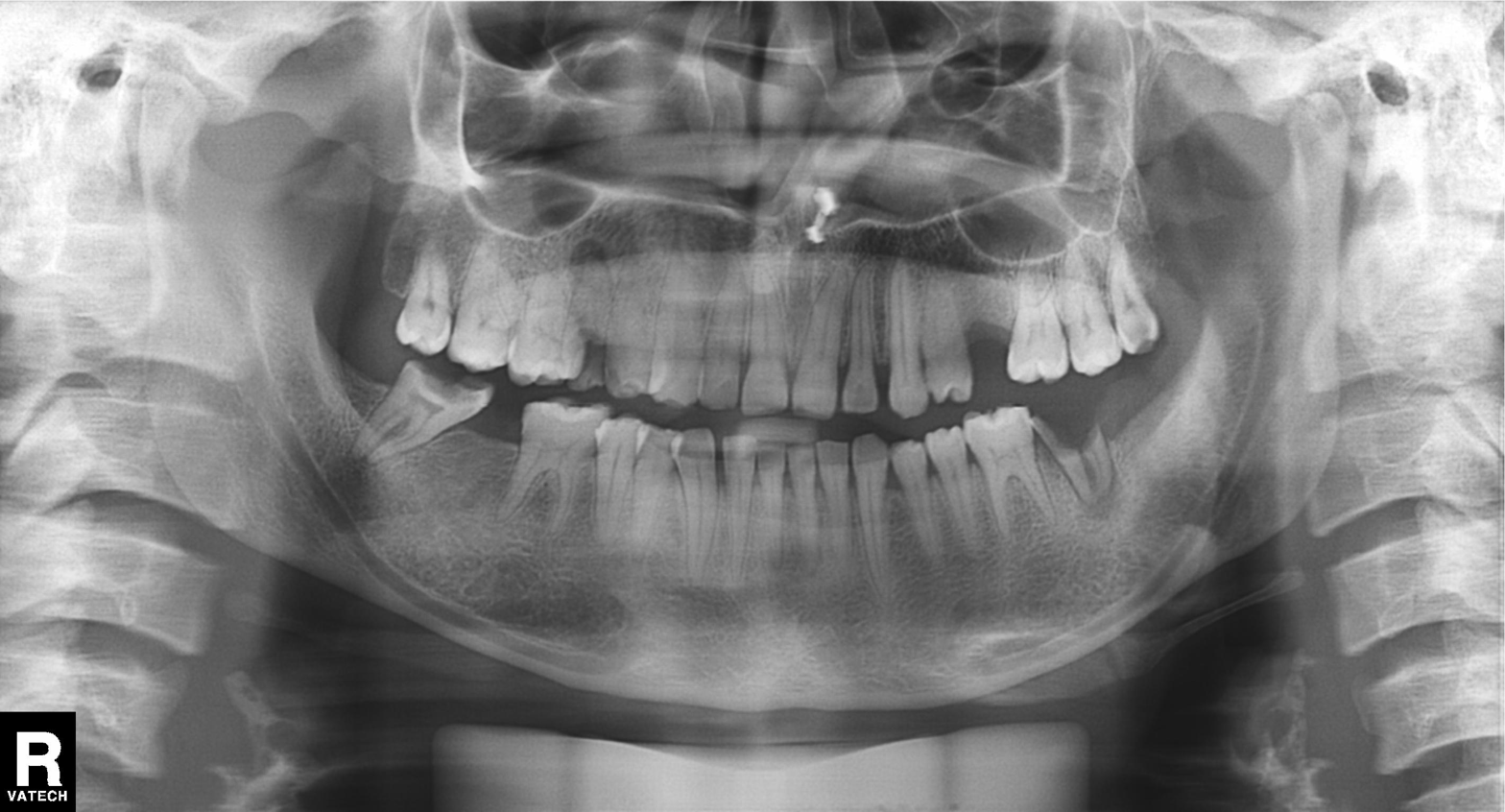
Case:
• modality — panoramic dental radiograph (orthopantomogram)
• finding — dental caries (cavities)